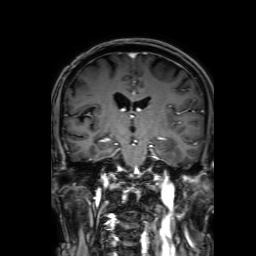
• modality — 3 Tesla brain MRI
• series — 3D T1-weighted with SENSE
• study — ring-enhancing brain masses